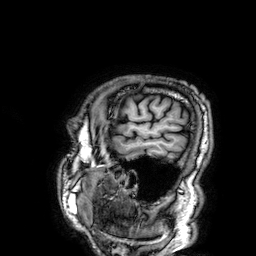
Case summary:
3 Tesla brain MRI. Series: 3D T1-weighted. Study: ring-enhancing brain masses.